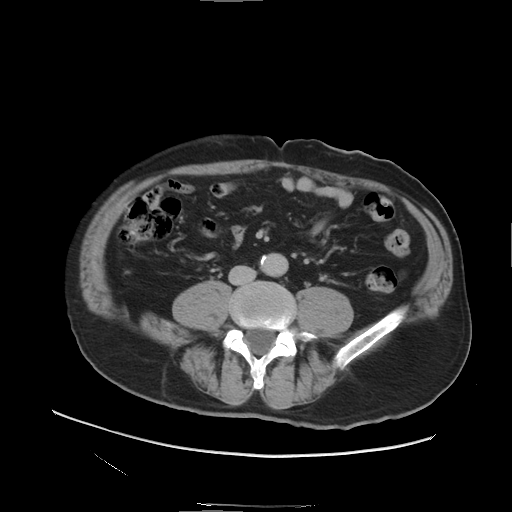
Multiphase abdominal CT, liver, delayed phase. Patient: male, age 61.